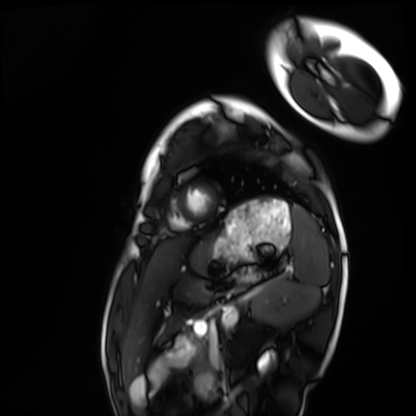
Cardiac MRI. Subject group: healthy volunteer.